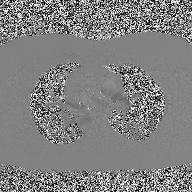
2D phase-contrast cine MRI of the ascending aorta, high-resolution GRAPPA acquisition.